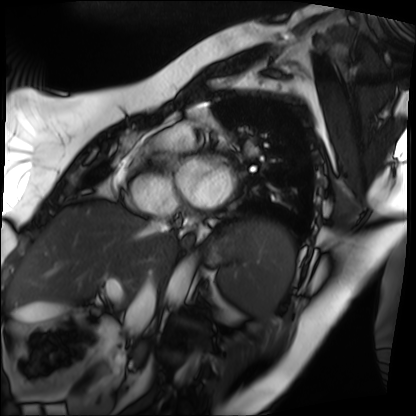
| field | value |
|---|---|
| modality | cardiac MRI |
| subject group | patient |